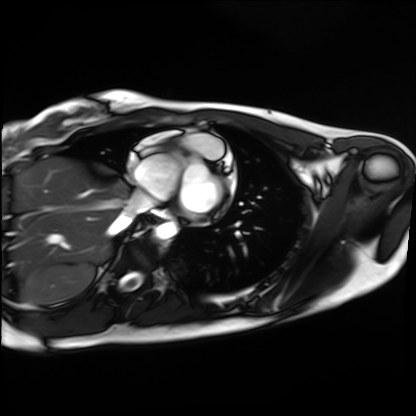
modality: cardiac MRI; subject group: healthy volunteer.